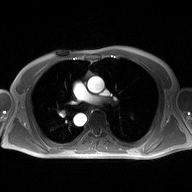
{"modality": {"type": "2D phase-contrast cine MRI", "region": "ascending aorta", "reconstruction": "high-resolution GRAPPA acquisition"}}